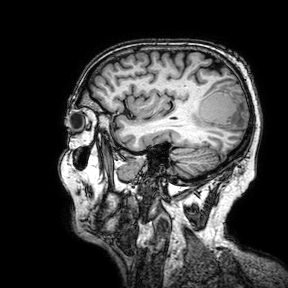
3 Tesla brain MRI. Series: 3D T1-weighted turbo field echo with SENSE. Study: ring-enhancing brain masses.